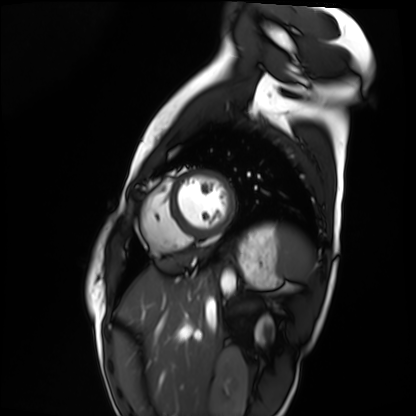
Case:
- modality · cardiac MRI
- subject group · healthy volunteer